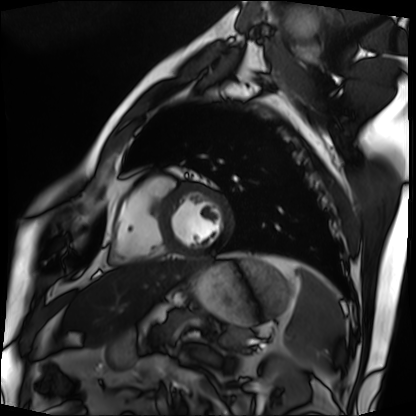
modality = cardiac MRI, subject group = patient.